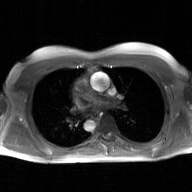
{
  "modality": {
    "type": "2D phase-contrast cine MRI",
    "region": "ascending aorta",
    "reconstruction": "GAN super-resolution reconstruction"
  }
}